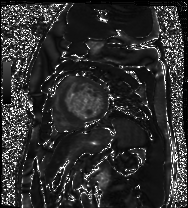
Cardiac MR image of the myocardium.
Subject cohort: cardiac patient.